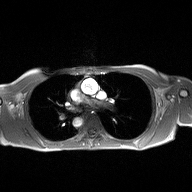
– modality · 2D phase-contrast cine MRI of the ascending aorta